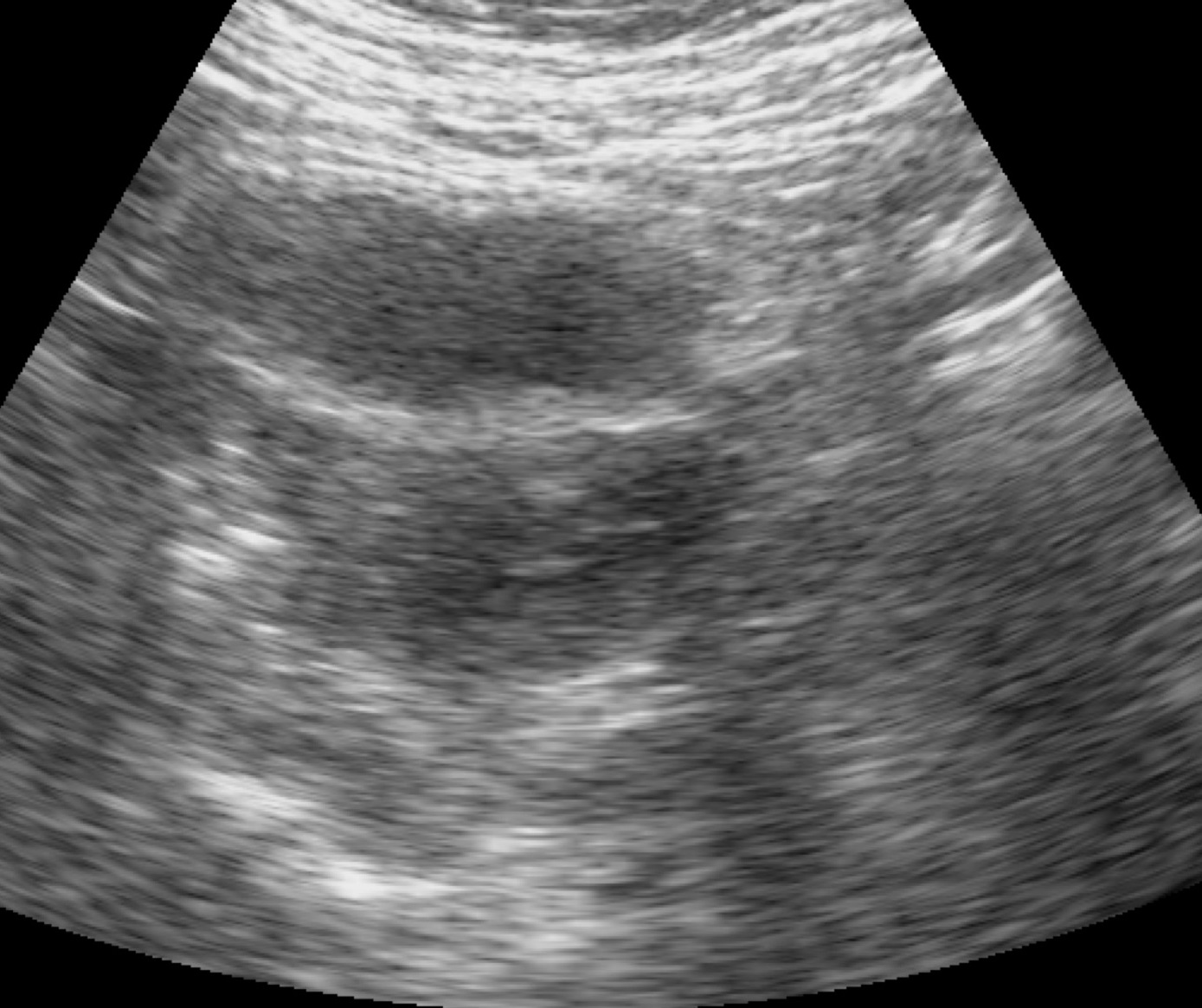
modality = genitourinary ultrasound